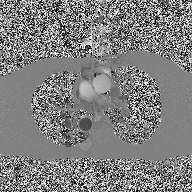
Q: What kind of scan is this?
A: 2D phase-contrast cine MRI of the ascending aorta.